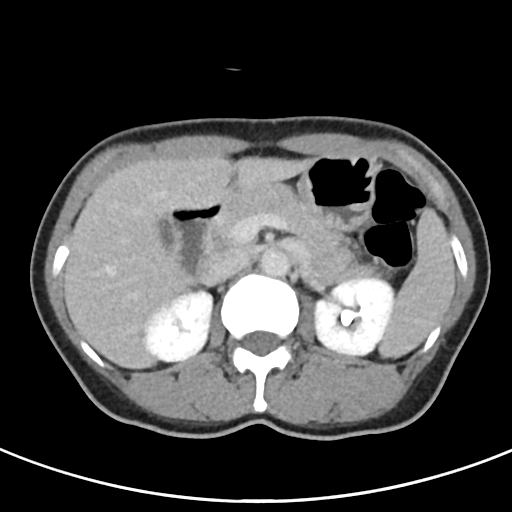
Multiphase abdominal CT, liver, delayed phase.
Patient: female, age 53.